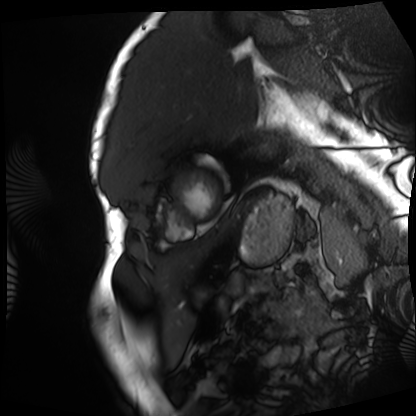
modality: cardiac MRI
cohort: patient